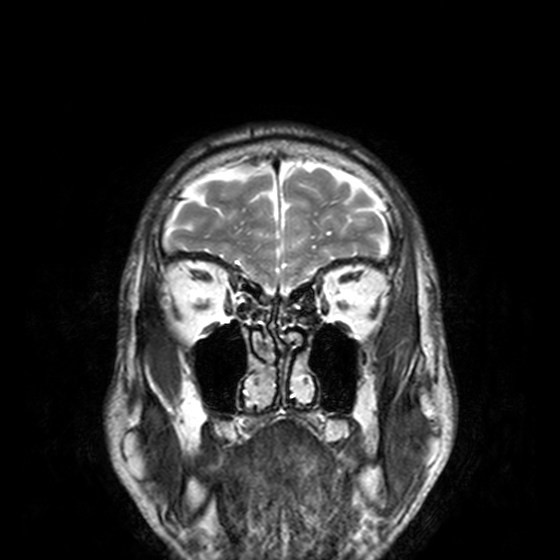
modality: 3 Tesla brain MRI; series: T2-weighted turbo spin echo, 3 mm; study: ring-enhancing brain masses.